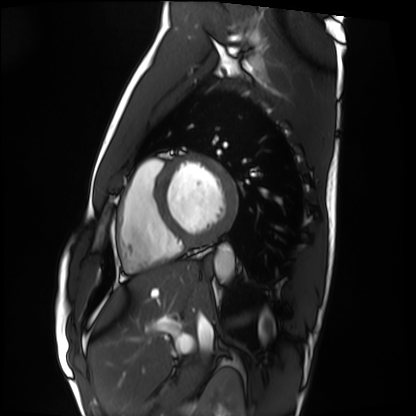
  modality: cardiac MRI
  cohort: healthy volunteer